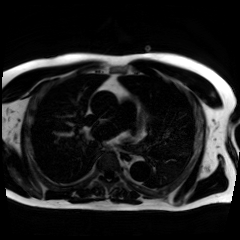
modality: chemical-shift-encoded cardiac MRI